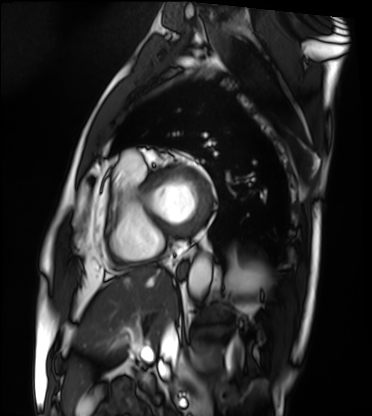
modality: cardiac MRI
cohort: patient